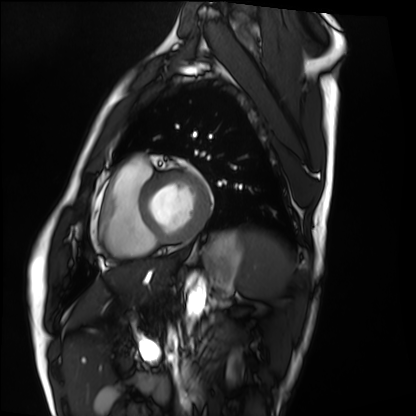
Summary:
Cardiac MRI. Subject group: healthy volunteer.